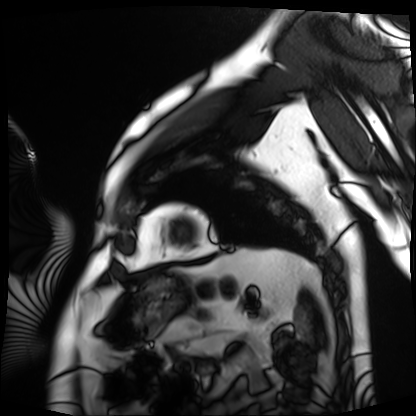
Case summary:
Cardiac MRI. Subject group: patient.